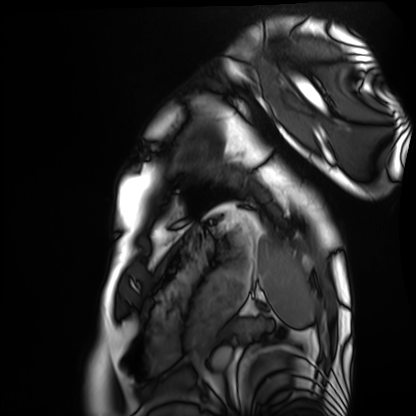
Cardiac MRI. Subject group: healthy volunteer.